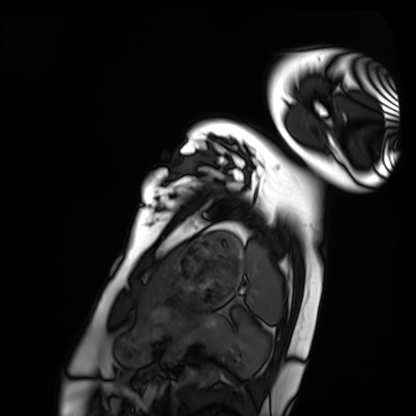
modality: cardiac MRI
subject group: healthy volunteer